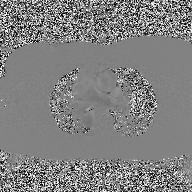
2D phase-contrast cine MRI of the ascending aorta, high-resolution GRAPPA acquisition.